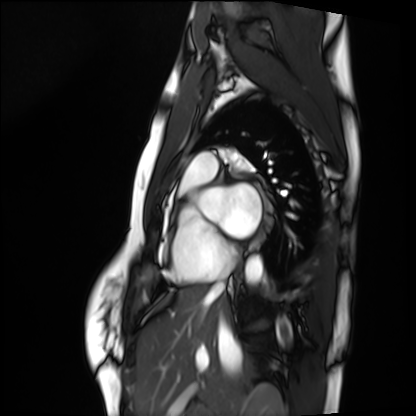
Cardiac MRI.
Subject group: healthy volunteer.